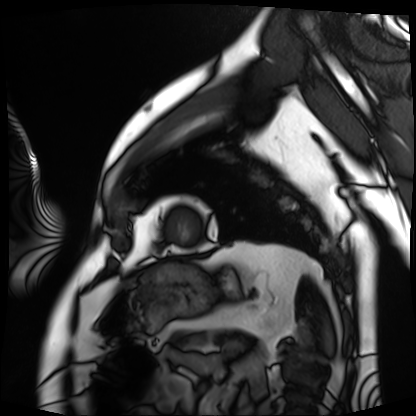
* modality — cardiac MRI
* subject group — patient